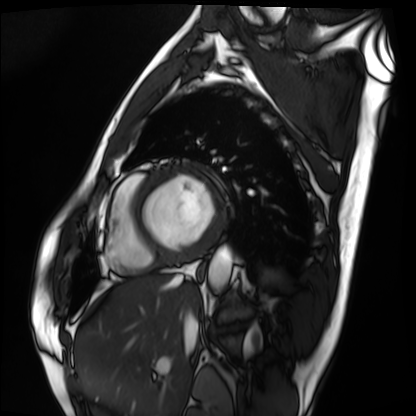
modality = cardiac MRI; subject group = patient.